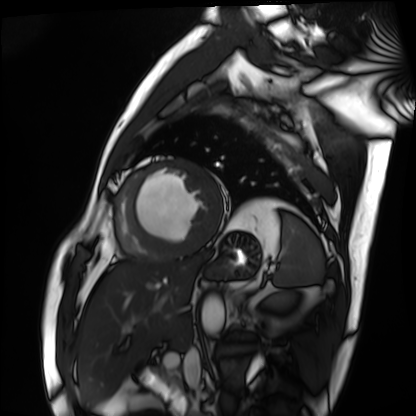
Cardiac MRI. Subject group: patient.